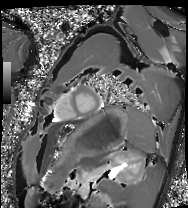
modality: cardiac MRI; subject group: healthy volunteer.